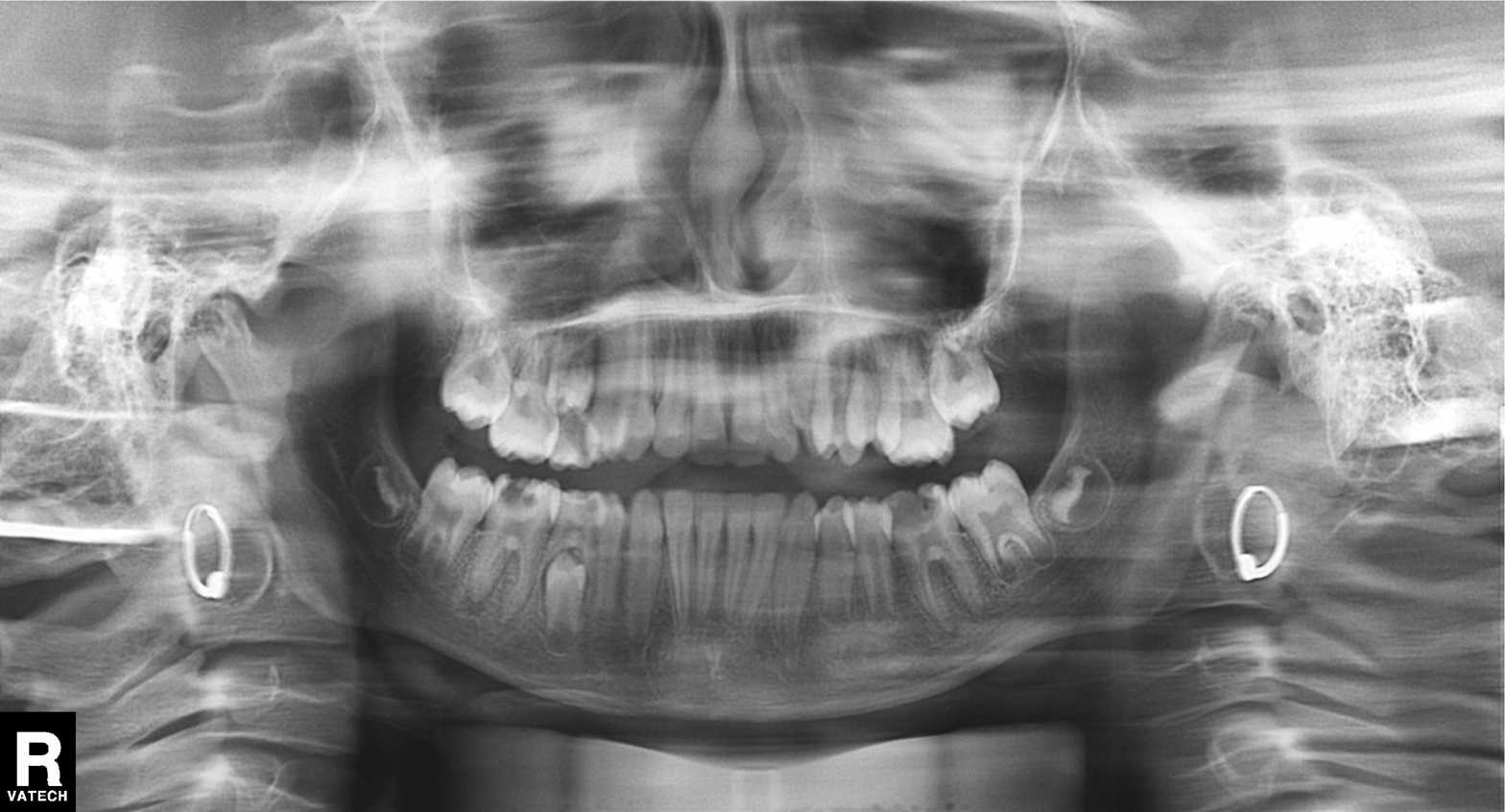
modality=panoramic dental radiograph (orthopantomogram) | finding=alveolar bone loss.